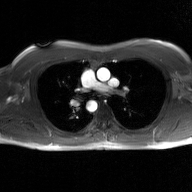
2D phase-contrast cine MRI of the ascending aorta, GAN super-resolution reconstruction.